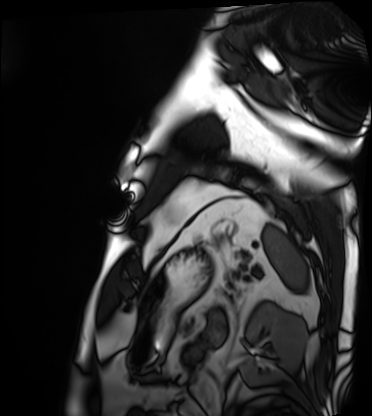
  modality: cardiac MRI
  cohort: patient